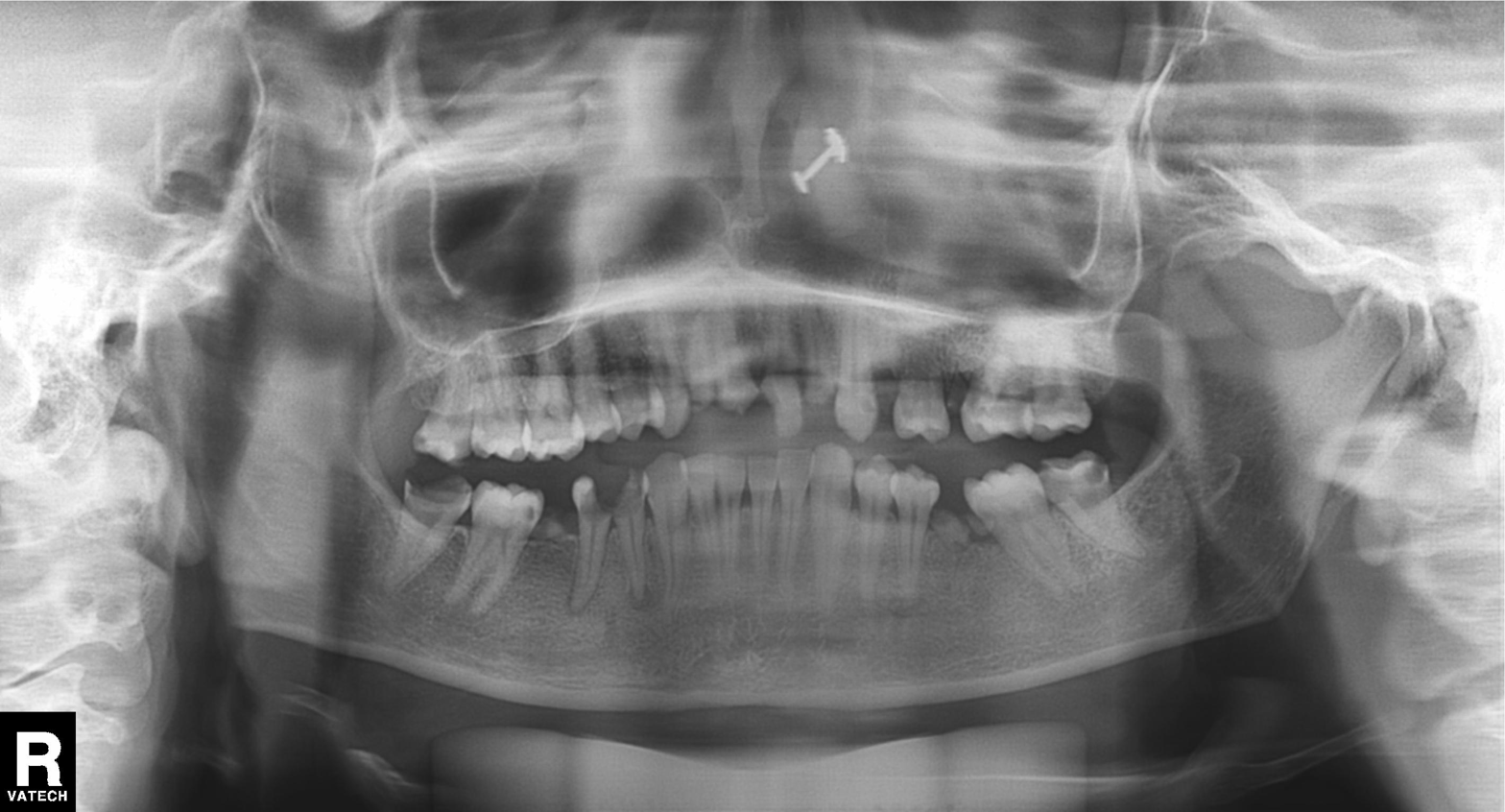
  modality: panoramic dental radiograph (orthopantomogram)
  finding: alveolar bone loss